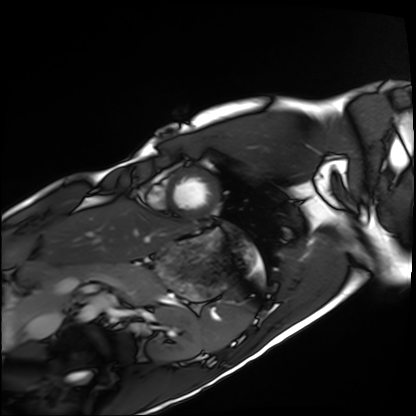
Cardiac MRI.
Subject group: healthy volunteer.